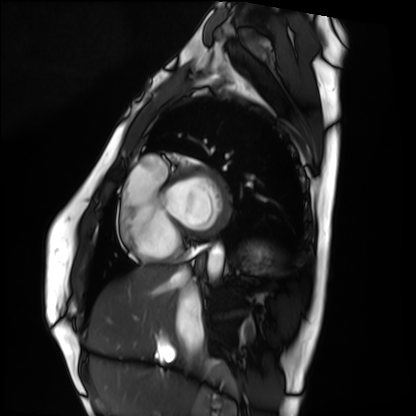
Case summary:
Cardiac MRI. Subject group: healthy volunteer.